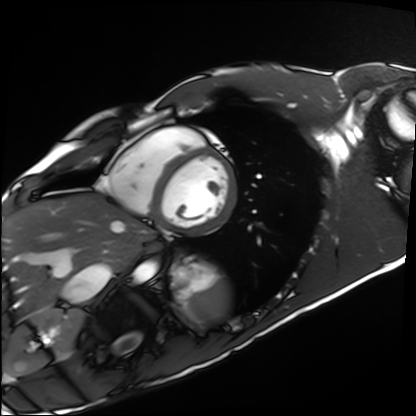
  modality: cardiac MRI
  cohort: healthy volunteer